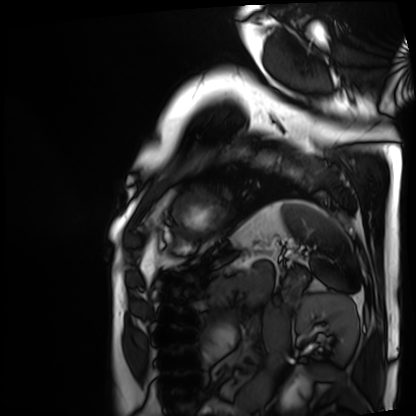
Cardiac MRI. Subject group: patient.